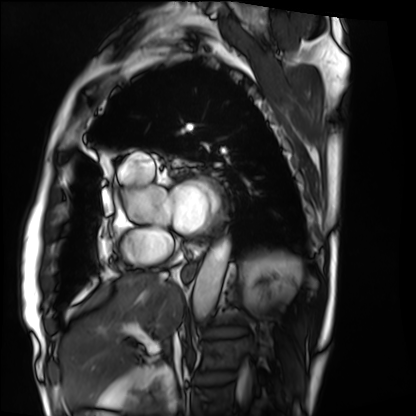
Summary:
Cardiac MRI. Subject group: patient.